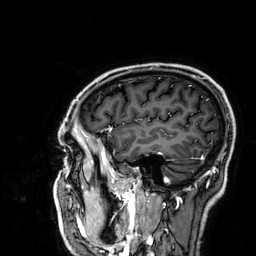
Clinical context: 3 Tesla brain MRI. Series: 3D T1-weighted. Study: ring-enhancing brain masses.